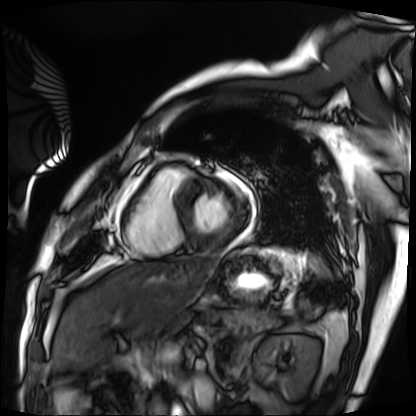
Q: What kind of scan is this?
A: Cardiac MRI.
Subject group: patient.